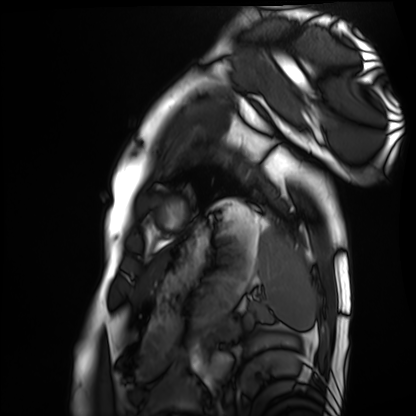
Cardiac MRI.
Subject group: healthy volunteer.